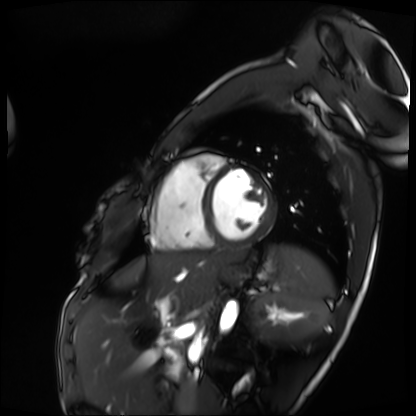
Cardiac MRI. Subject group: patient.